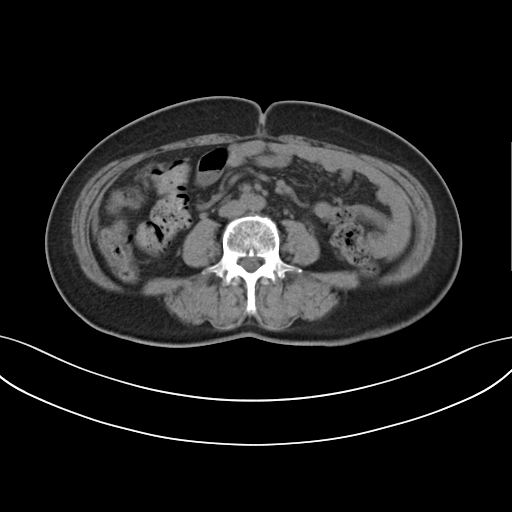
Q: What kind of scan is this?
A: Multiphase abdominal CT, liver, non-contrast phase.
Q: Patient?
A: Female, age 59.